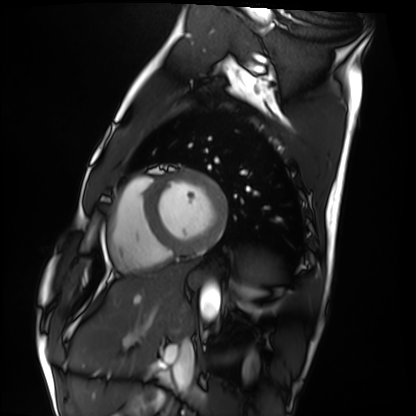
modality = cardiac MRI; subject group = healthy volunteer.